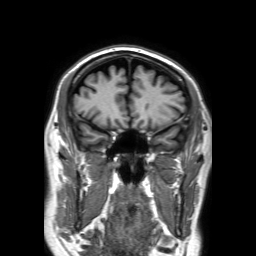
{
  "modality": {
    "type": "brain MRI",
    "field_strength": "3T"
  },
  "series": "3D T1-weighted TFE with SENSE",
  "study_topic": "ring-enhancing brain masses"
}